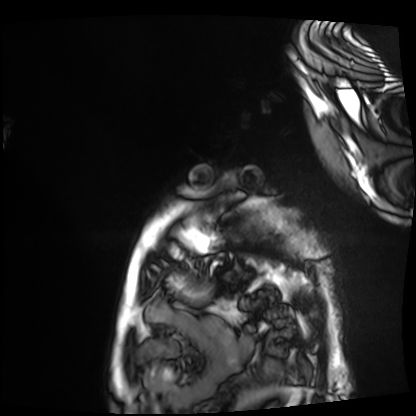
Cardiac MRI.
Subject group: patient.